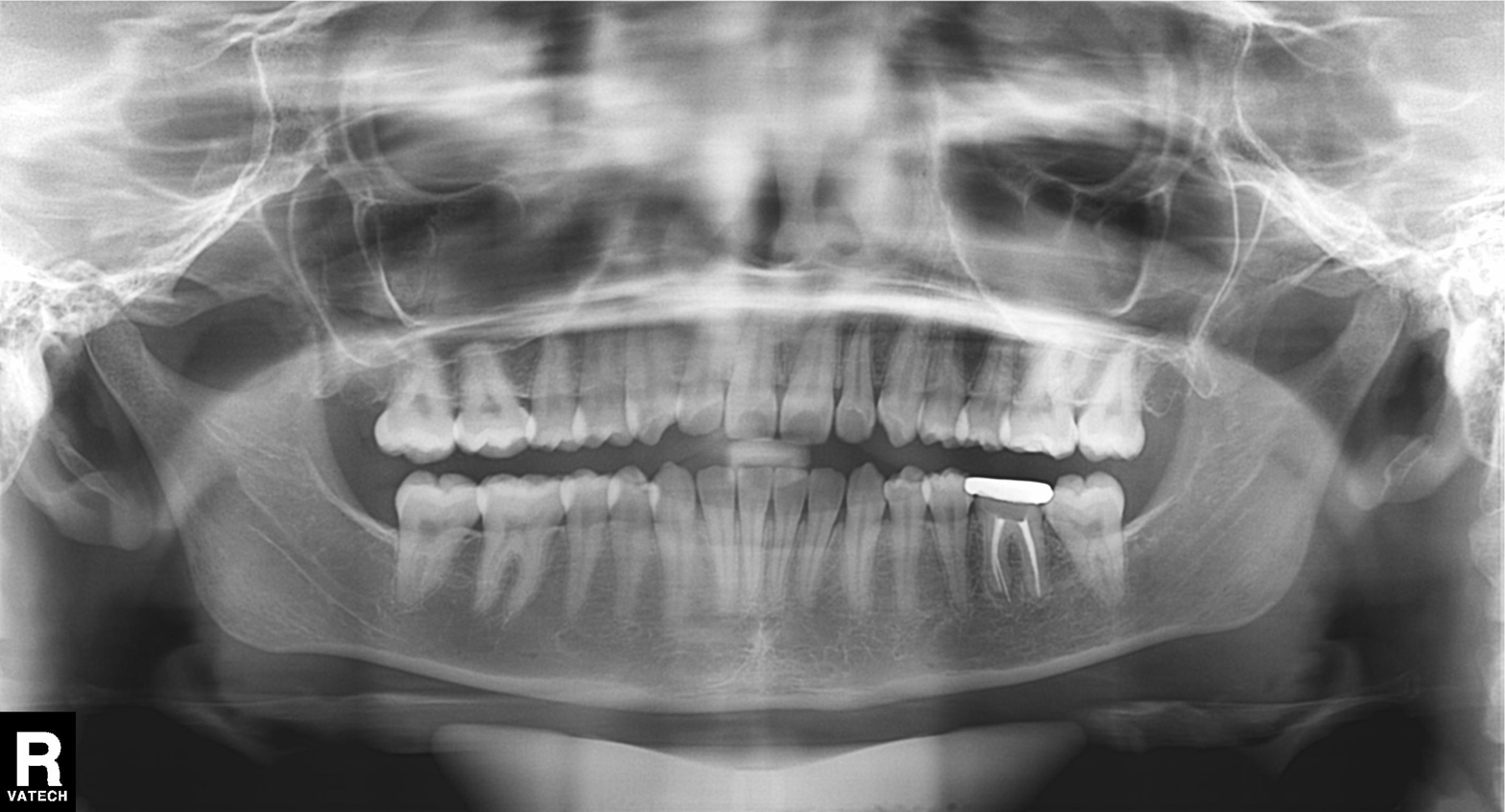
Panoramic dental radiograph (orthopantomogram). Finding: tooth impaction.